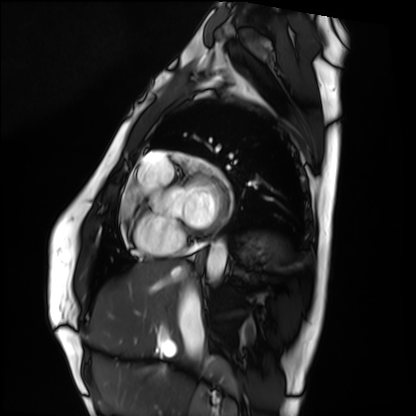
Clinical context:
Cardiac MRI. Subject group: healthy volunteer.